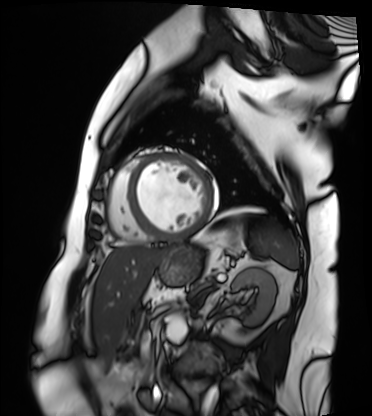
| field | value |
|---|---|
| modality | cardiac MRI |
| subject group | patient |